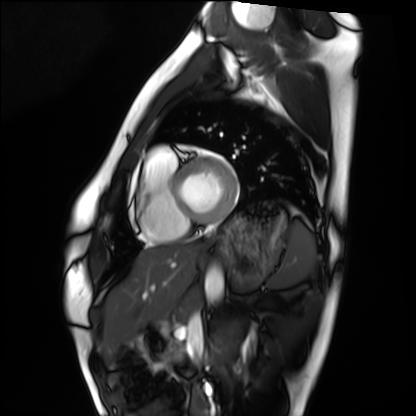
Case:
* modality — cardiac MRI
* subject group — healthy volunteer